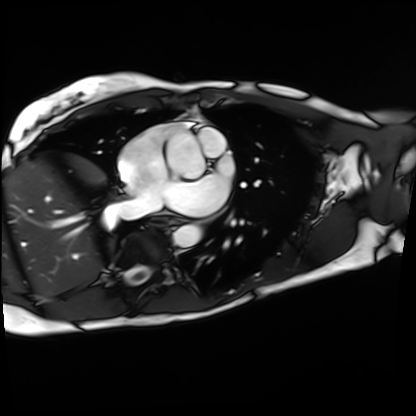
Summary:
Cardiac MRI. Subject group: patient.